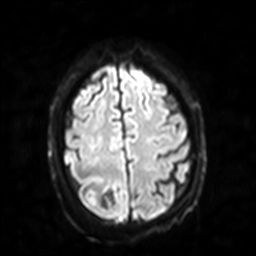
Case summary: 3 Tesla brain MRI. Series: diffusion-weighted imaging with SENSE (WIP). Study: ring-enhancing brain masses.